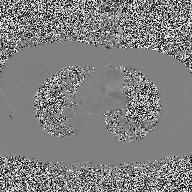
Case summary:
2D phase-contrast cine MRI of the ascending aorta, high-resolution GRAPPA acquisition.